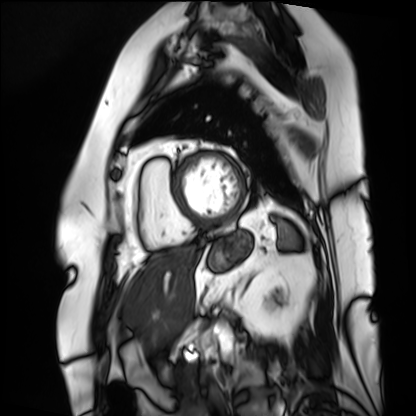
modality = cardiac MRI | subject group = patient.